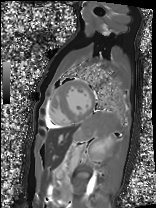
<study>
<modality>cardiac MRI</modality>
<cohort>patient</cohort>
</study>